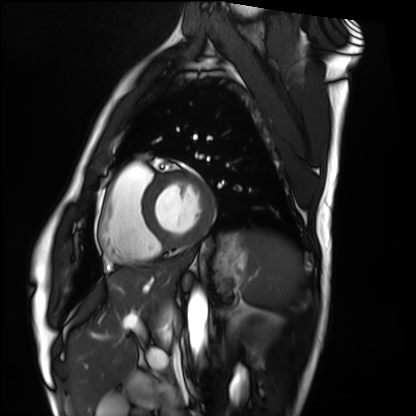
– modality · cardiac MRI
– subject group · healthy volunteer